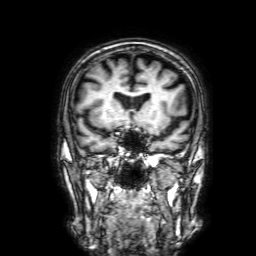
3 Tesla brain MRI. Series: 3D T1-weighted with SENSE. Study: ring-enhancing brain masses.